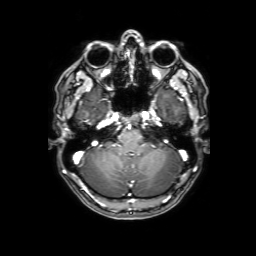
Summary:
3 Tesla brain MRI. Series: 3D T1-weighted with SENSE. Study: ring-enhancing brain masses.